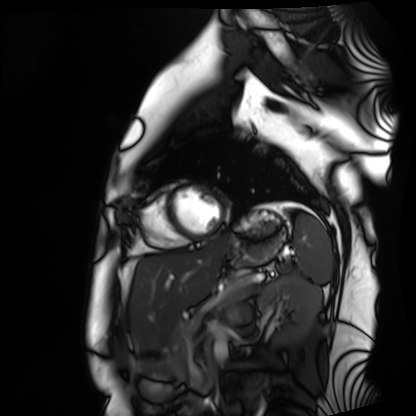
Cardiac MRI. Subject group: healthy volunteer.